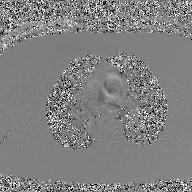
Summary: 2D phase-contrast cine MRI of the ascending aorta, GAN super-resolution reconstruction.